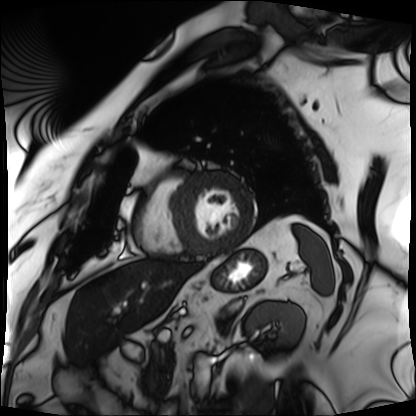
{"modality": "cardiac MRI", "cohort": "patient"}